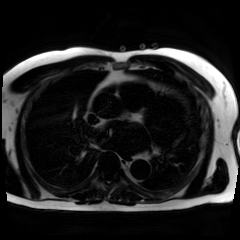
Chemical-shift-encoded cardiac MRI.